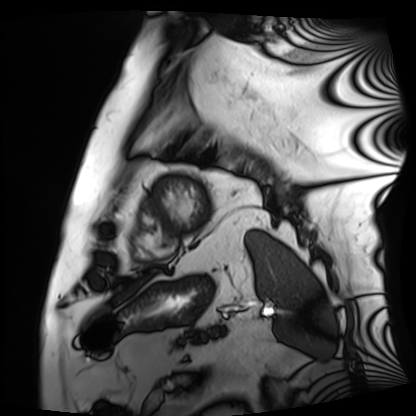
Cardiac MRI.
Subject group: patient.